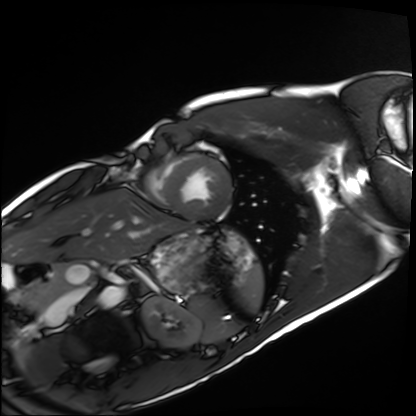
modality = cardiac MRI | subject group = healthy volunteer.